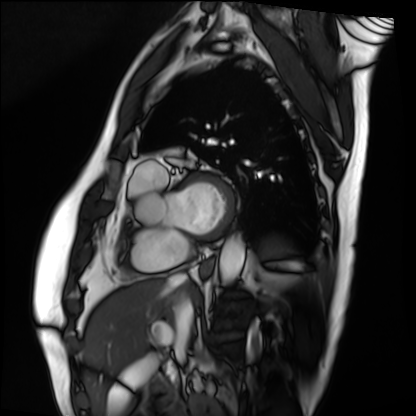
{"modality": "cardiac MRI", "cohort": "patient"}